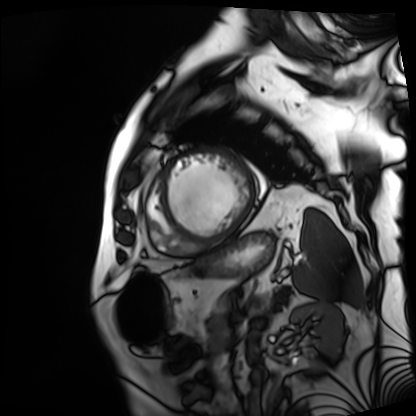
modality: cardiac MRI | subject group: patient.